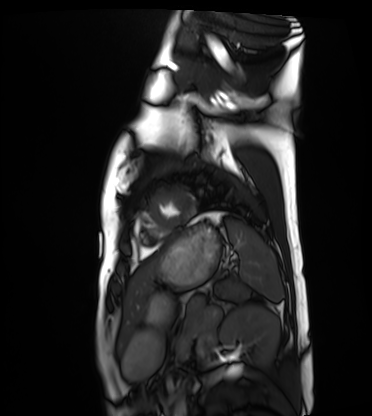
Q: What kind of scan is this?
A: Cardiac MRI.
Subject group: healthy volunteer.